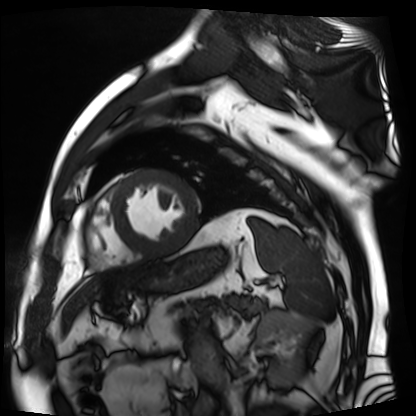
- modality: cardiac MR image of the myocardium
- subject cohort: cardiac patient